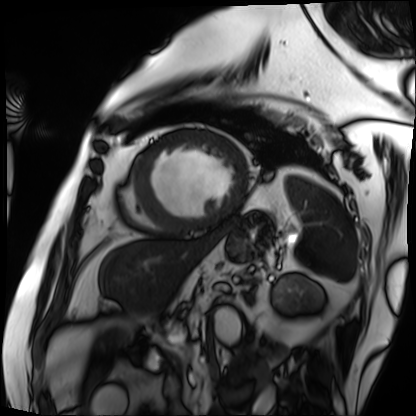
Cardiac MRI. Subject group: patient.